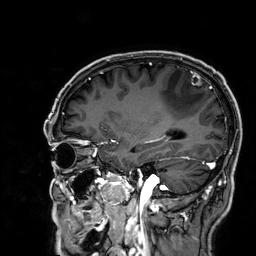
<study>
<modality>
  <type>brain MRI</type>
  <field_strength>3T</field_strength>
</modality>
<series>3D T1-weighted</series>
<study_topic>ring-enhancing brain masses</study_topic>
</study>